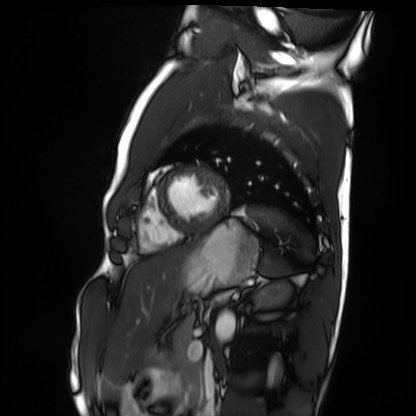
Cardiac MRI.
Subject group: healthy volunteer.